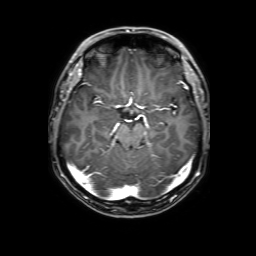
{"modality": {"type": "brain MRI", "field_strength": "3T"}, "series": "3D T1-weighted with SENSE", "study_topic": "ring-enhancing brain masses"}